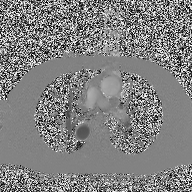
– modality · 2D phase-contrast cine MRI of the ascending aorta